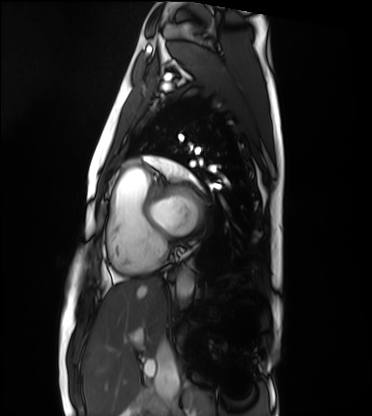
Summary: Cardiac MRI. Subject group: healthy volunteer.